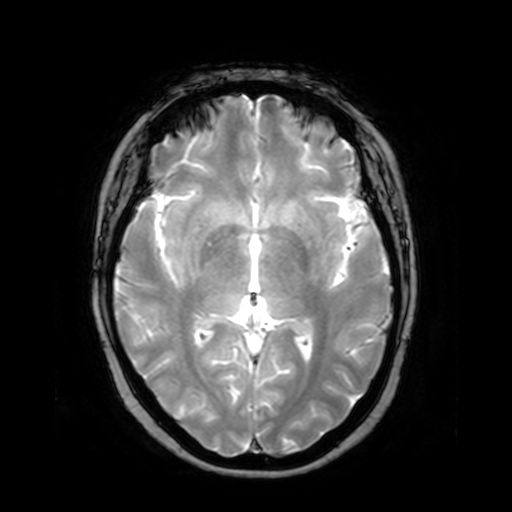
3 Tesla brain MRI. Series: T2-weighted fast field echo. Study: ring-enhancing brain masses.